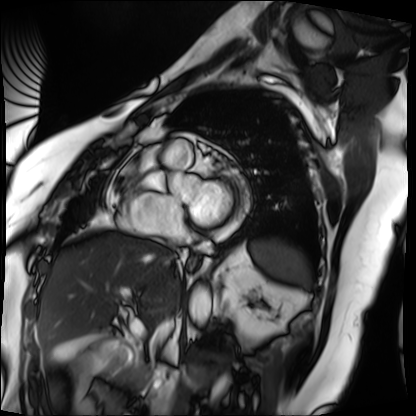
  modality: cardiac MRI
  cohort: patient